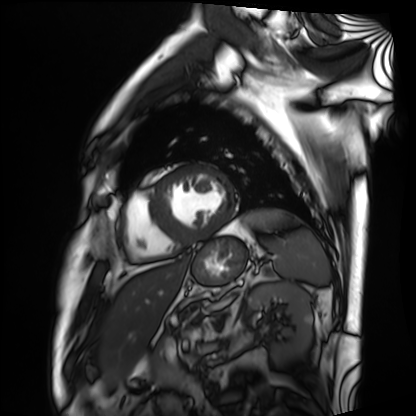
Q: What kind of scan is this?
A: Cardiac MRI.
Subject group: patient.